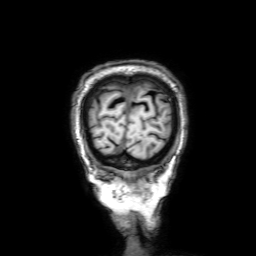
modality: 3 Tesla brain MRI | series: 3D T1-weighted with SENSE | study: ring-enhancing brain masses.